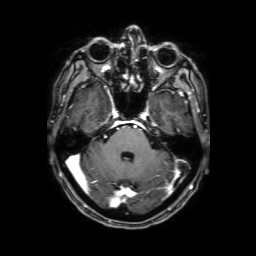
Summary: 3 Tesla brain MRI. Series: 3D T1-weighted with SENSE. Study: ring-enhancing brain masses.